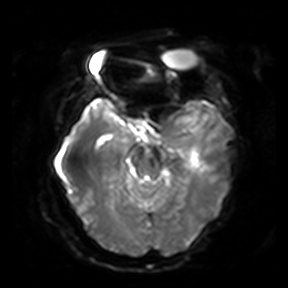
Clinical context:
3 Tesla brain MRI. Series: diffusion-weighted imaging. Study: ring-enhancing brain masses.